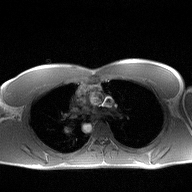
2D phase-contrast cine MRI of the ascending aorta, high-resolution GRAPPA acquisition.